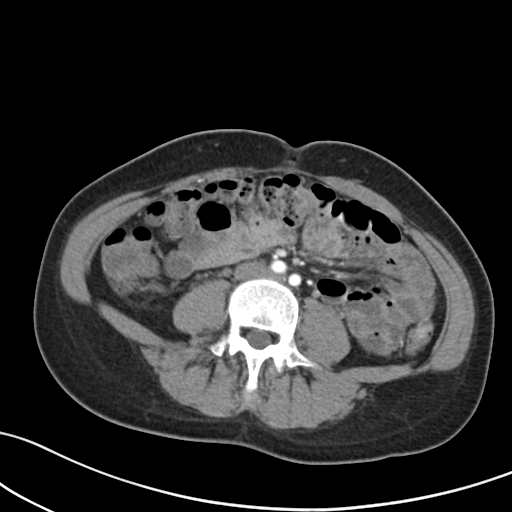
{
  "modality": {
    "type": "multiphase abdominal CT",
    "region": "liver",
    "phase": "arterial"
  },
  "patient": {
    "sex": "female",
    "age": 37
  }
}